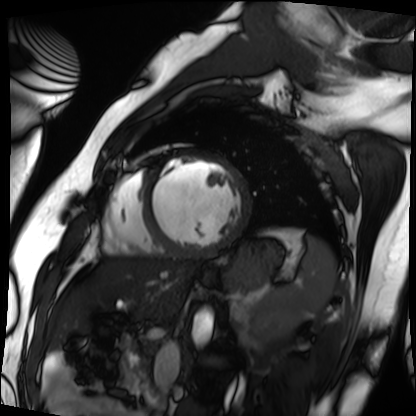
modality: cardiac MRI
cohort: patient